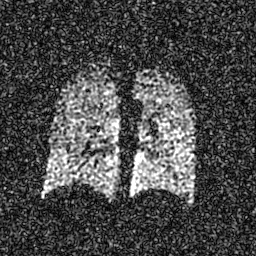
Summary: Hyperpolarized 129Xe ventilation MRI of the lungs.